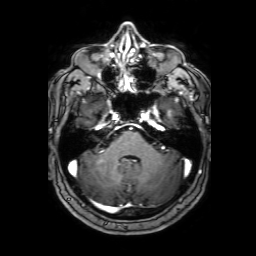
3 Tesla brain MRI. Series: 3D T1-weighted with SENSE. Study: ring-enhancing brain masses.